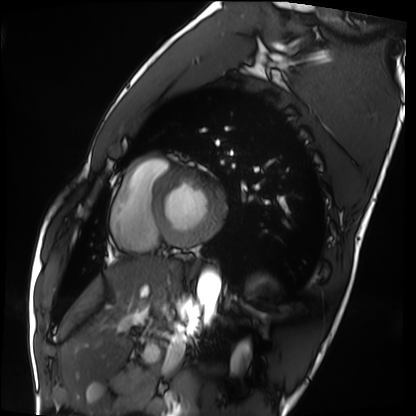
Cardiac MRI. Subject group: healthy volunteer.